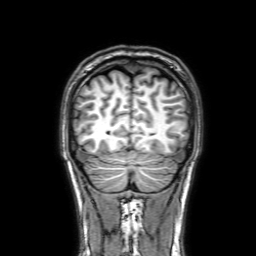
3 Tesla brain MRI. Study: ring-enhancing brain masses.